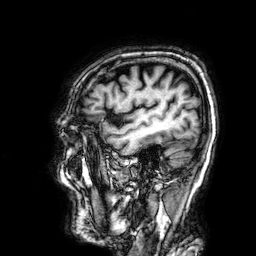
Case summary: 3 Tesla brain MRI. Series: 3D T1-weighted. Study: ring-enhancing brain masses.